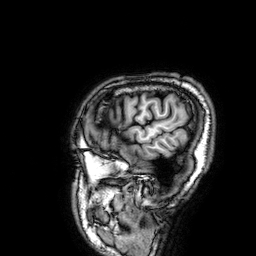
Q: What kind of scan is this?
A: 3 Tesla brain MRI.
Study: ring-enhancing brain masses.